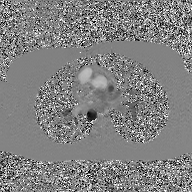
modality = 2D phase-contrast cine MRI of the ascending aorta, GAN super-resolution reconstruction.